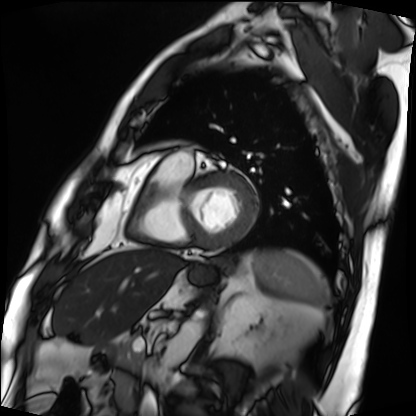
{
  "modality": "cardiac MRI",
  "cohort": "patient"
}